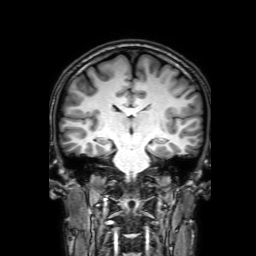
{"modality": {"type": "brain MRI", "field_strength": "3T"}, "study_topic": "ring-enhancing brain masses"}